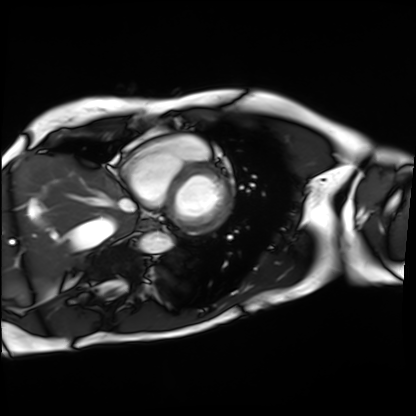
- modality: cardiac MRI
- subject group: patient